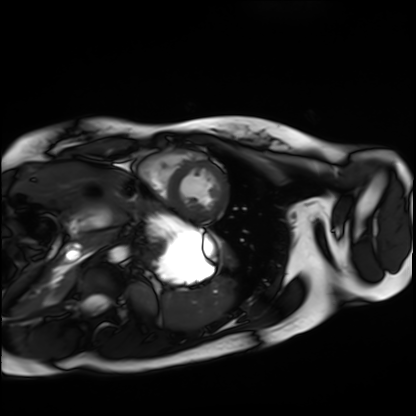
| field | value |
|---|---|
| modality | cardiac MRI |
| subject group | healthy volunteer |